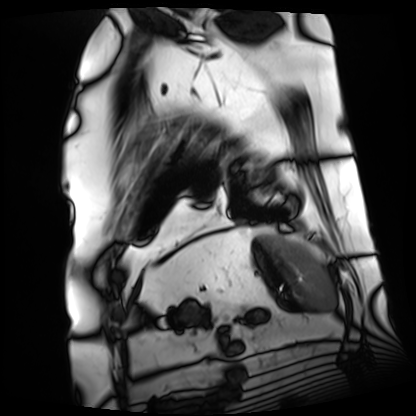
Clinical context:
Cardiac MRI. Subject group: patient.